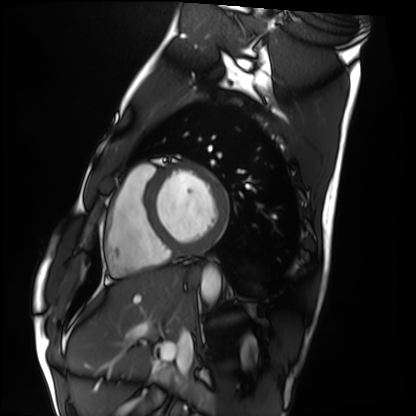
{"modality": "cardiac MRI", "cohort": "healthy volunteer"}